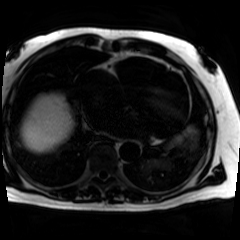
Summary:
Chemical-shift-encoded cardiac MRI.